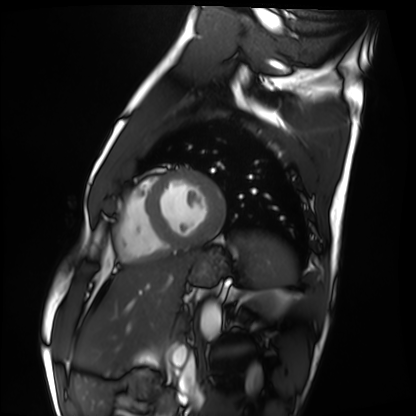
Summary: Cardiac MRI. Subject group: healthy volunteer.